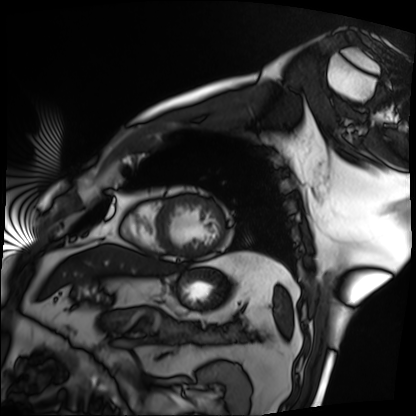
Case:
* modality: cardiac MRI
* subject group: patient